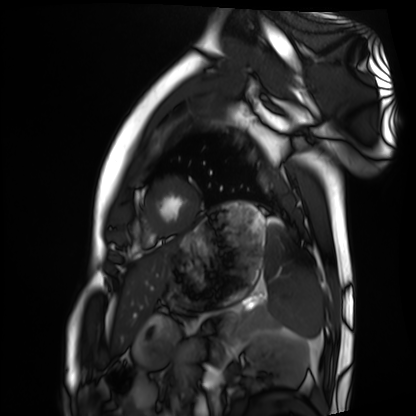
<scan>
<modality>cardiac MRI</modality>
<cohort>healthy volunteer</cohort>
</scan>